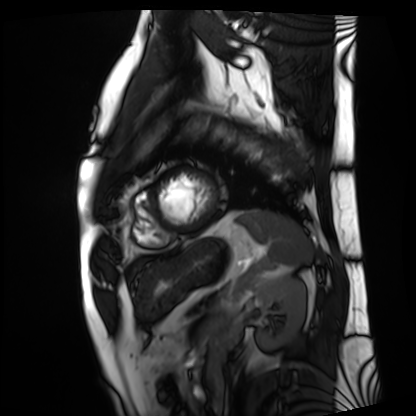
| field | value |
|---|---|
| modality | cardiac MRI |
| subject group | patient |